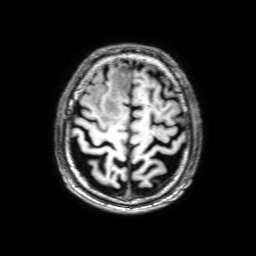
Summary: 3 Tesla brain MRI. Series: 3D T1-weighted with SENSE. Study: ring-enhancing brain masses.